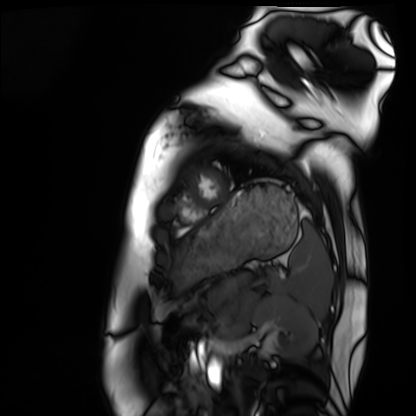
Cardiac MRI. Subject group: healthy volunteer.